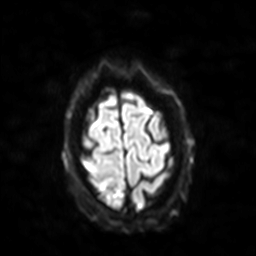
3 Tesla brain MRI. Series: diffusion-weighted imaging with SENSE (WIP). Study: ring-enhancing brain masses.